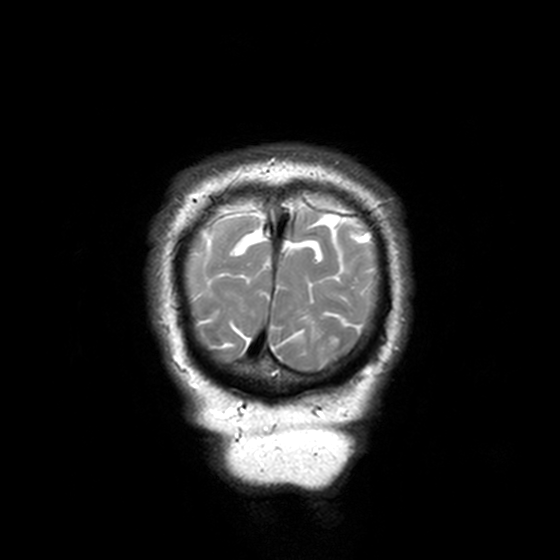
Summary:
3 Tesla brain MRI. Series: T2-weighted turbo spin echo, 3 mm. Study: ring-enhancing brain masses.